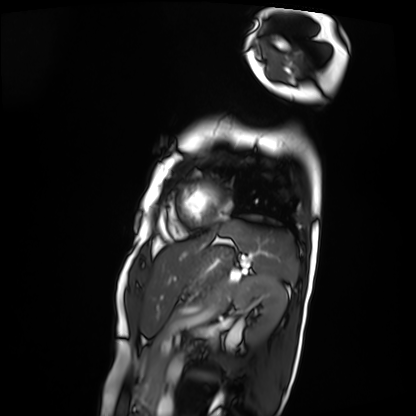
{"modality": "cardiac MRI", "cohort": "patient"}